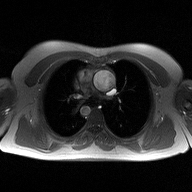
{
  "modality": {
    "type": "2D phase-contrast cine MRI",
    "region": "ascending aorta",
    "reconstruction": "high-resolution GRAPPA acquisition"
  }
}